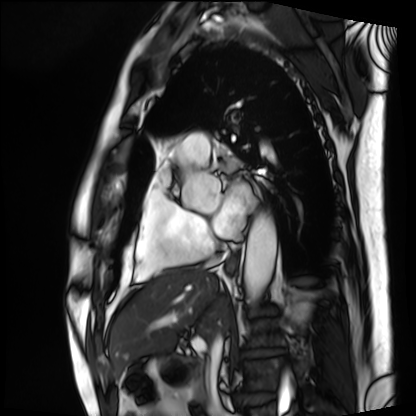
Summary: Cardiac MRI. Subject group: patient.